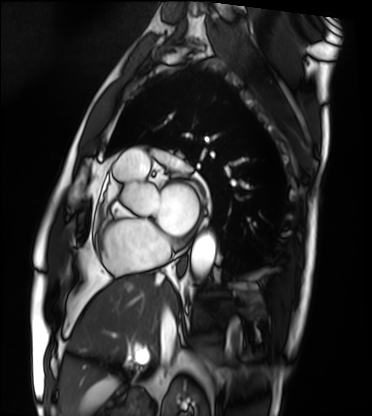
Cardiac MRI.
Subject group: patient.